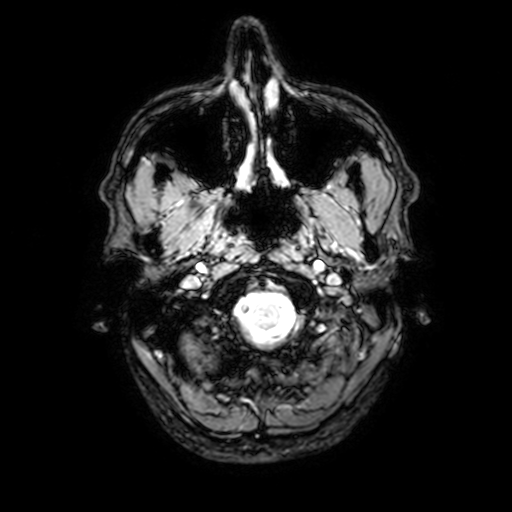
| field | value |
|---|---|
| modality | 3 Tesla brain MRI |
| series | T2-weighted fast field echo with SENSE |
| study | ring-enhancing brain masses |